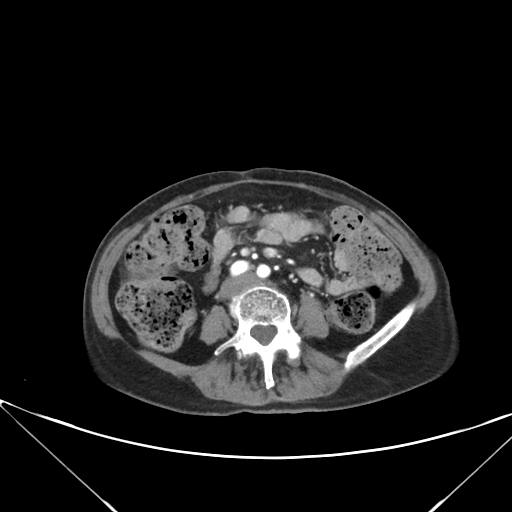
Summary:
Multiphase abdominal CT, liver, arterial phase. Patient: female, age 63. History: prior chemotherapy.